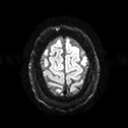
Summary: 3 Tesla brain MRI. Series: diffusion tensor imaging (medium iso). Study: ring-enhancing brain masses.